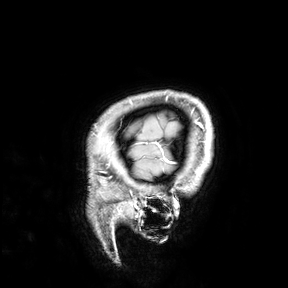
– modality: 3 Tesla brain MRI
– study: ring-enhancing brain masses